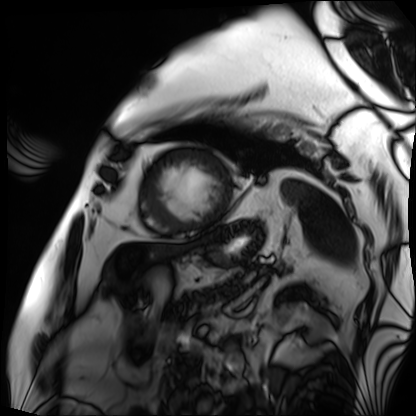
| field | value |
|---|---|
| modality | cardiac MRI |
| subject group | patient |